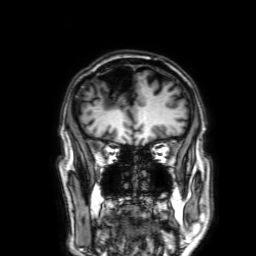
Clinical context: 3 Tesla brain MRI. Series: 3D T1-weighted with SENSE. Study: ring-enhancing brain masses.